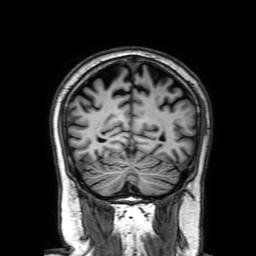
3 Tesla brain MRI.
Series: 3D T1-weighted with SENSE.
Study: ring-enhancing brain masses.